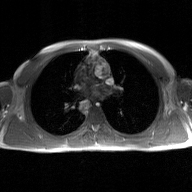
– modality · 2D phase-contrast cine MRI of the ascending aorta, GAN super-resolution reconstruction